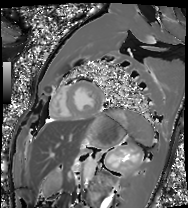
modality=cardiac MRI | subject group=healthy volunteer.